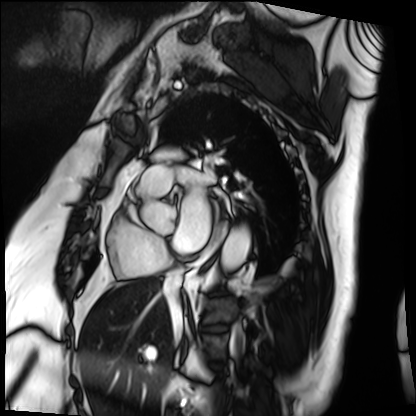
• modality — cardiac MRI
• subject group — patient